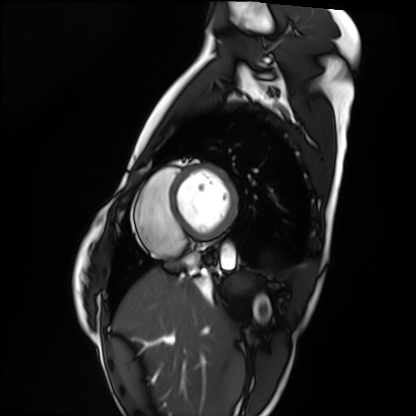
modality: cardiac MRI
cohort: healthy volunteer